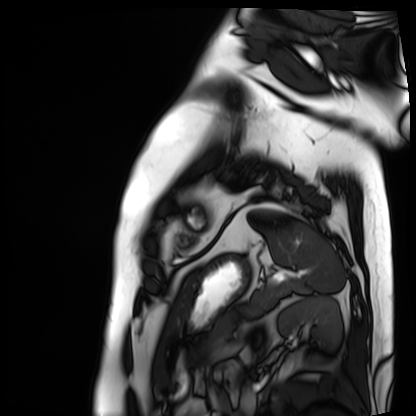
modality: cardiac MRI
subject group: patient